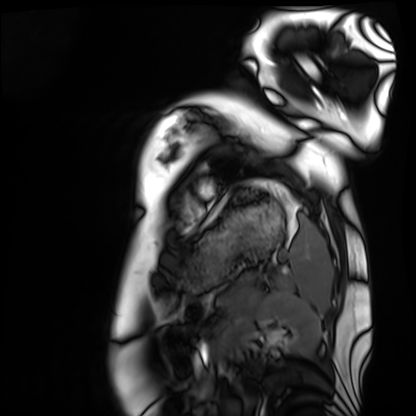
– modality — cardiac MRI
– subject group — healthy volunteer